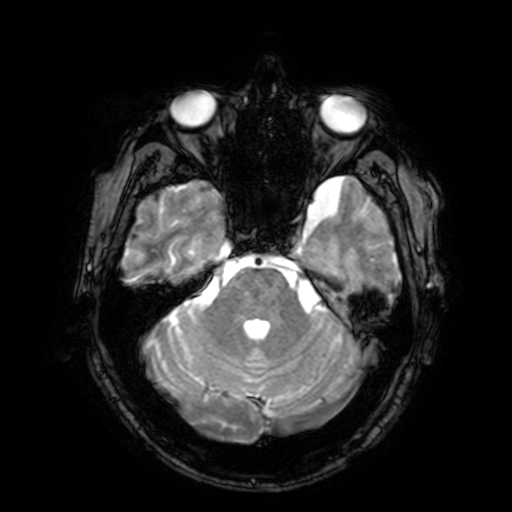
  modality:
    type: brain MRI
    field_strength: 3T
  series: T2-weighted fast field echo with SENSE
  study_topic: ring-enhancing brain masses